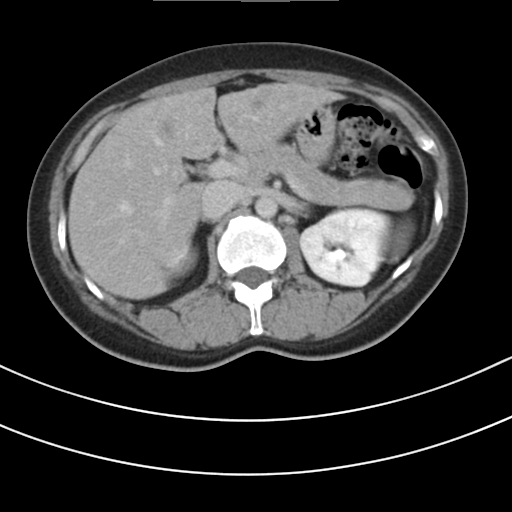
{"modality": {"type": "multiphase abdominal CT", "region": "liver", "phase": "delayed"}, "patient": {"sex": "female", "age": 43}}